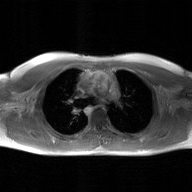
modality — 2D phase-contrast cine MRI of the ascending aorta, GAN super-resolution reconstruction.